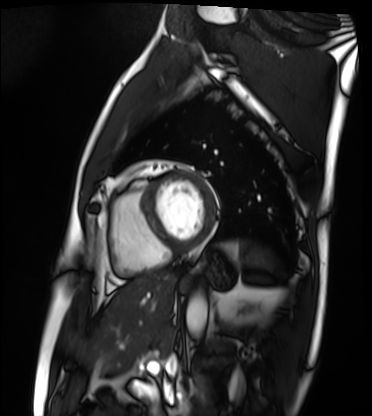
<scan>
<modality>cardiac MRI</modality>
<cohort>patient</cohort>
</scan>